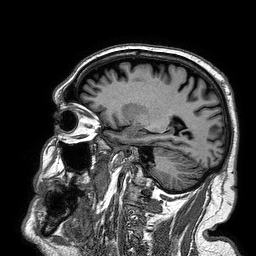
- modality · 3 Tesla brain MRI
- series · 3D T1-weighted turbo field echo
- study · ring-enhancing brain masses